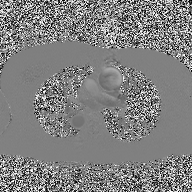
2D phase-contrast cine MRI of the ascending aorta, high-resolution GRAPPA acquisition.